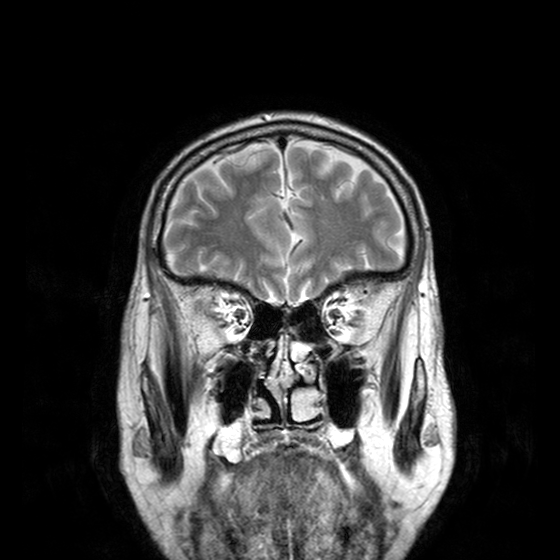
modality = 3 Tesla brain MRI
series = T2-weighted turbo spin echo with CLEAR
study = ring-enhancing brain masses